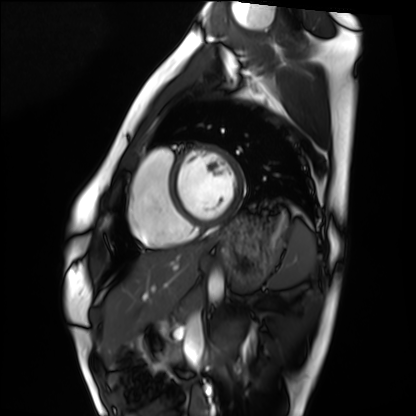
Cardiac MRI. Subject group: healthy volunteer.